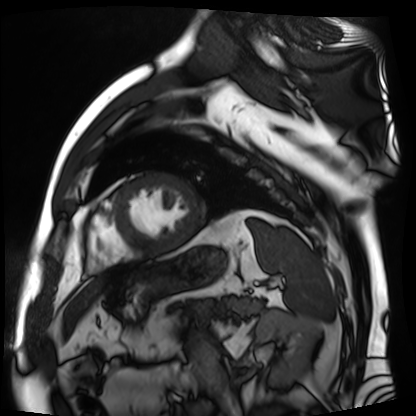
modality — cardiac MR image of the myocardium | subject cohort — cardiac patient.